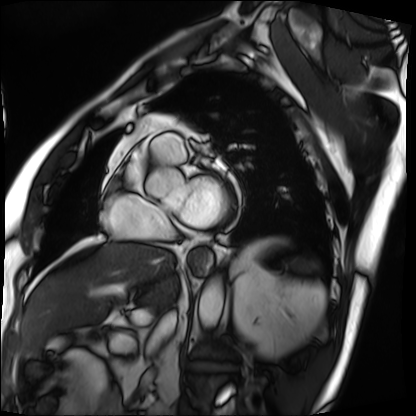
modality: cardiac MRI
cohort: patient